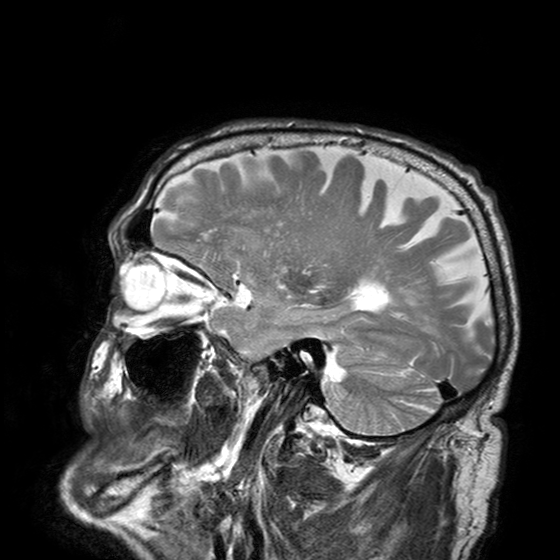
3 Tesla brain MRI. Series: T2-weighted turbo spin echo with SENSE. Study: ring-enhancing brain masses.